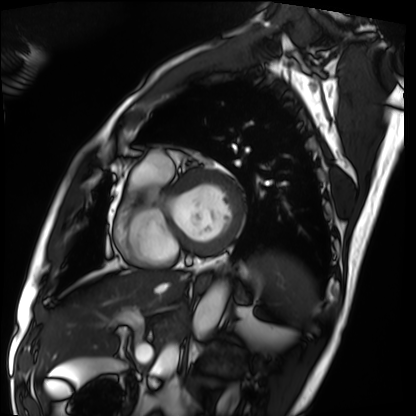
modality=cardiac MRI
subject group=patient